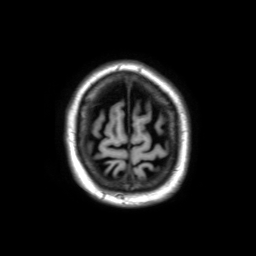
Case summary:
3 Tesla brain MRI. Series: 3D T1-weighted TFE with SENSE. Study: ring-enhancing brain masses.